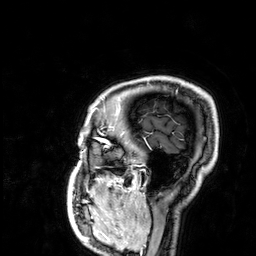
3 Tesla brain MRI.
Series: 3D T1-weighted.
Study: ring-enhancing brain masses.